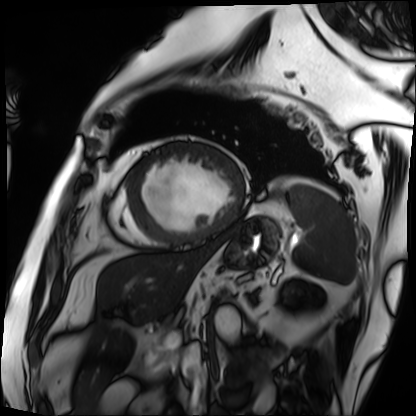
Cardiac MRI.
Subject group: patient.